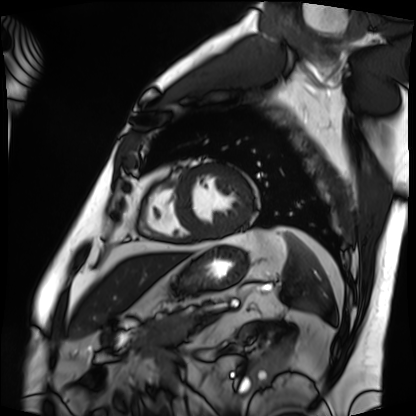
Cardiac MRI.
Subject group: patient.